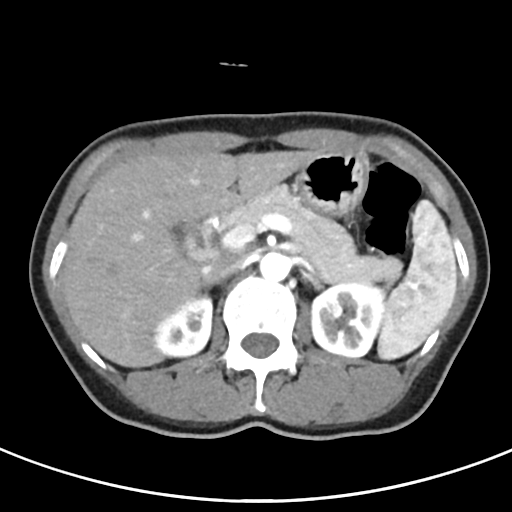
Multiphase abdominal CT, liver, arterial phase. Patient: female, age 53. History: viral hepatitis.